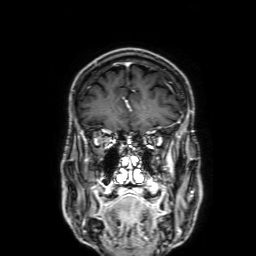
* modality · 3 Tesla brain MRI
* series · 3D T1-weighted with SENSE
* study · ring-enhancing brain masses